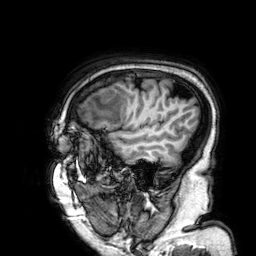
Clinical context:
3 Tesla brain MRI. Series: 3D T1-weighted. Study: ring-enhancing brain masses.